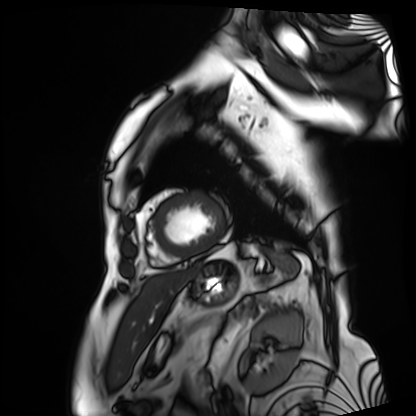
{
  "modality": "cardiac MRI",
  "cohort": "patient"
}